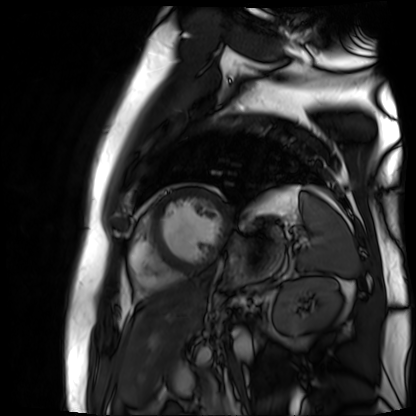
Cardiac MR image of the myocardium. Subject cohort: cardiac patient.